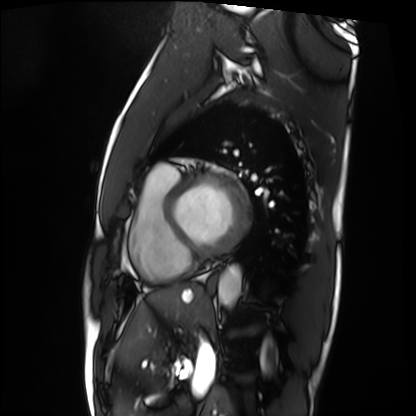
Cardiac MRI.
Subject group: patient.